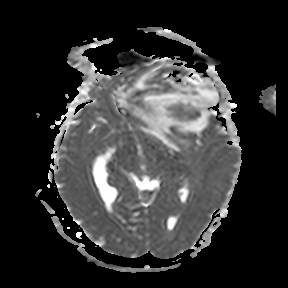
Q: What kind of scan is this?
A: 3 Tesla brain MRI.
Q: Series?
A: Apparent diffusion coefficient (ADC) map.
Study: ring-enhancing brain masses.